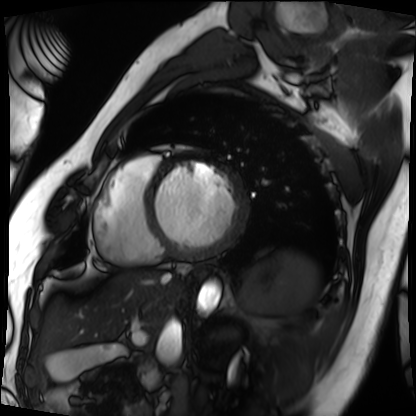
Cardiac MRI. Subject group: patient.